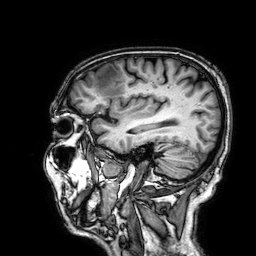
3 Tesla brain MRI.
Series: 3D T1-weighted.
Study: ring-enhancing brain masses.